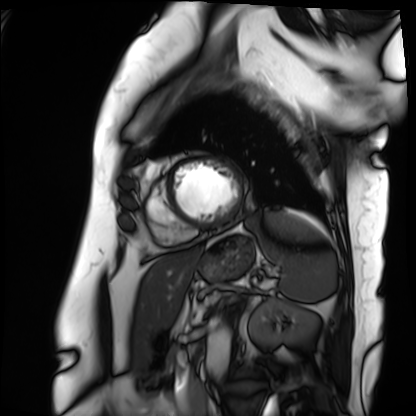
Q: What kind of scan is this?
A: Cardiac MRI.
Subject group: patient.